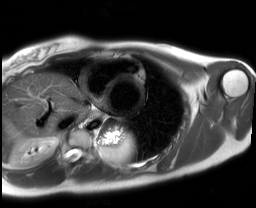
modality: cardiac MRI
cohort: healthy volunteer